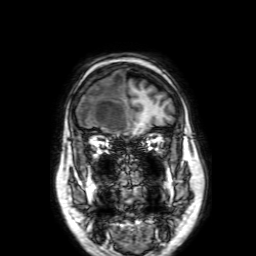
3 Tesla brain MRI. Series: 3D T1-weighted with SENSE. Study: ring-enhancing brain masses.